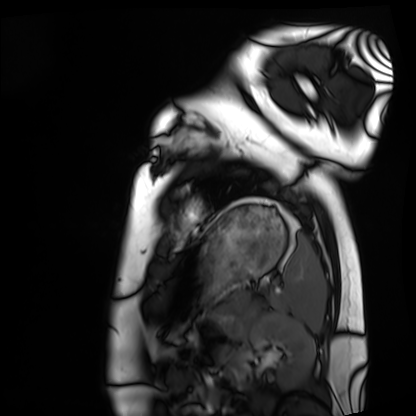
modality — cardiac MRI | subject group — healthy volunteer.